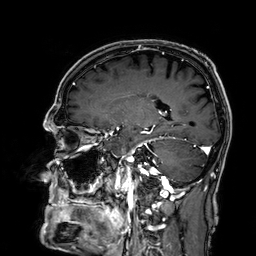
<case>
  <modality>
    <type>brain MRI</type>
    <field_strength>3T</field_strength>
  </modality>
  <study_topic>ring-enhancing brain masses</study_topic>
</case>